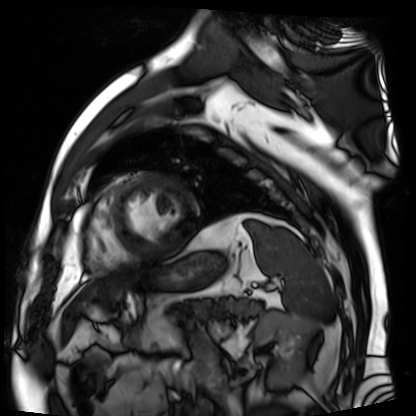
<scan>
<modality>cardiac MR image of the myocardium</modality>
<cohort>cardiac patient</cohort>
</scan>